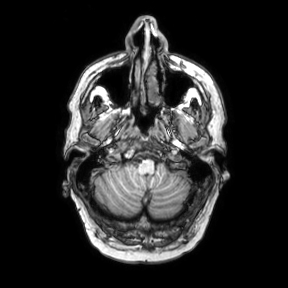
3 Tesla brain MRI. Series: axial. Study: ring-enhancing brain masses.